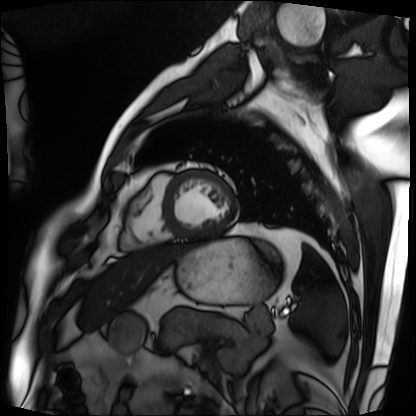
| field | value |
|---|---|
| modality | cardiac MRI |
| subject group | patient |